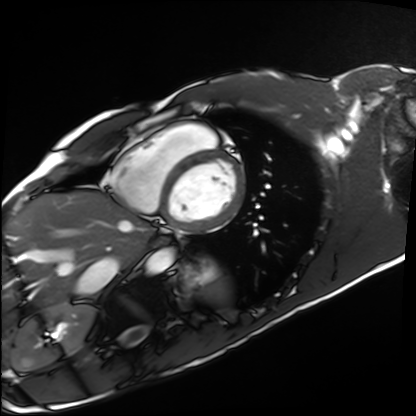
Cardiac MRI. Subject group: healthy volunteer.